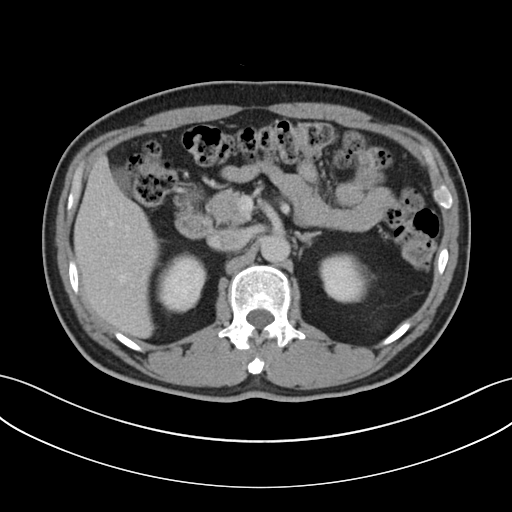
Case summary: Multiphase abdominal CT, liver, portal venous phase. Patient: male, age 51.